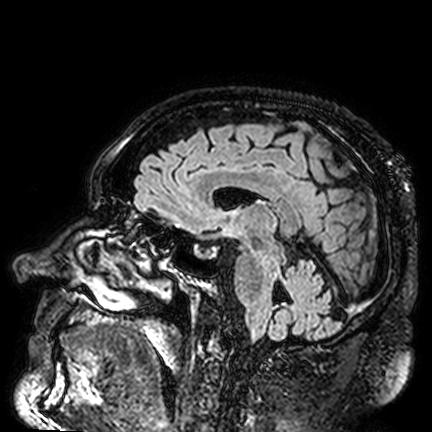
Summary:
3 Tesla brain MRI. Series: FLAIR VISTA. Study: ring-enhancing brain masses.